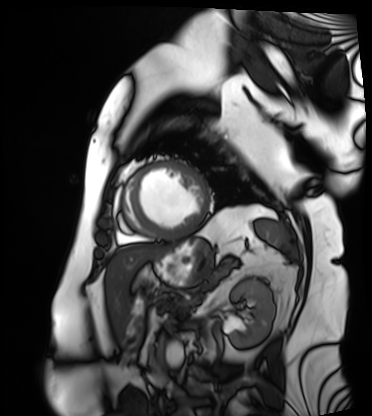
Cardiac MRI. Subject group: patient.